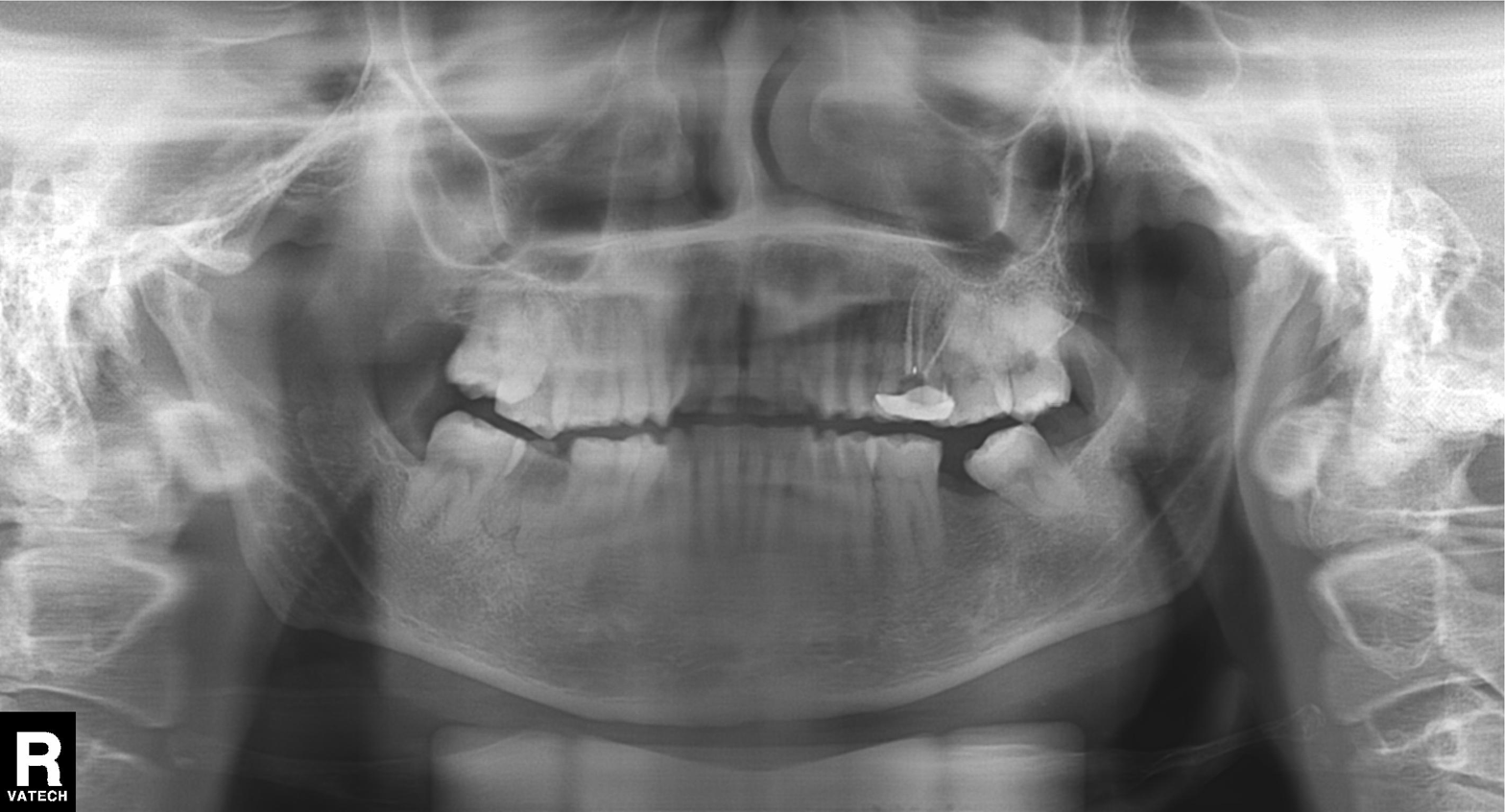
Panoramic dental radiograph (orthopantomogram). Finding: tooth impaction.